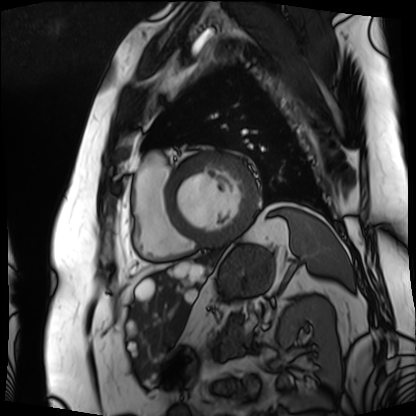
Cardiac MRI.
Subject group: patient.